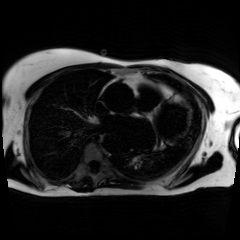
modality: chemical-shift-encoded cardiac MRI.